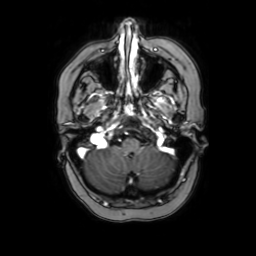
modality: 3 Tesla brain MRI
series: axial with contrast
study: ring-enhancing brain masses